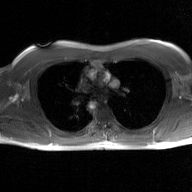
<case>
  <modality>
    <type>2D phase-contrast cine MRI</type>
    <region>ascending aorta</region>
    <reconstruction>GAN super-resolution reconstruction</reconstruction>
  </modality>
</case>